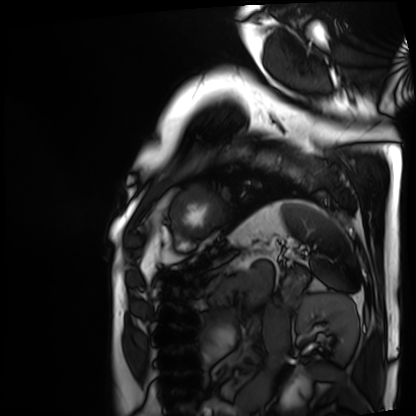
Summary:
Cardiac MRI. Subject group: patient.